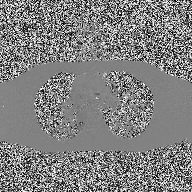
Clinical context: 2D phase-contrast cine MRI of the ascending aorta, high-resolution GRAPPA acquisition.